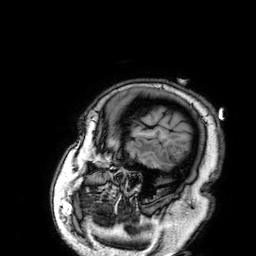
| field | value |
|---|---|
| modality | 3 Tesla brain MRI |
| series | 3D T1-weighted |
| study | ring-enhancing brain masses |